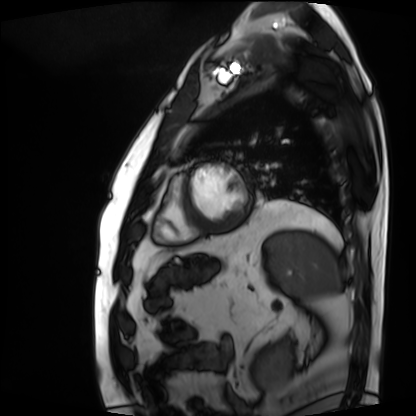
Summary: Cardiac MRI. Subject group: patient.